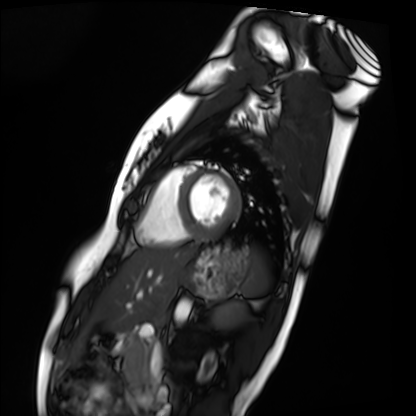
Cardiac MRI. Subject group: healthy volunteer.